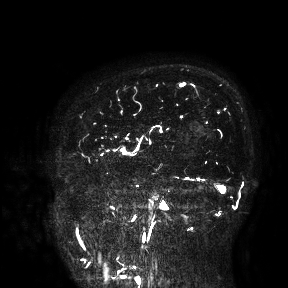
3 Tesla brain MRI.
Study: ring-enhancing brain masses.